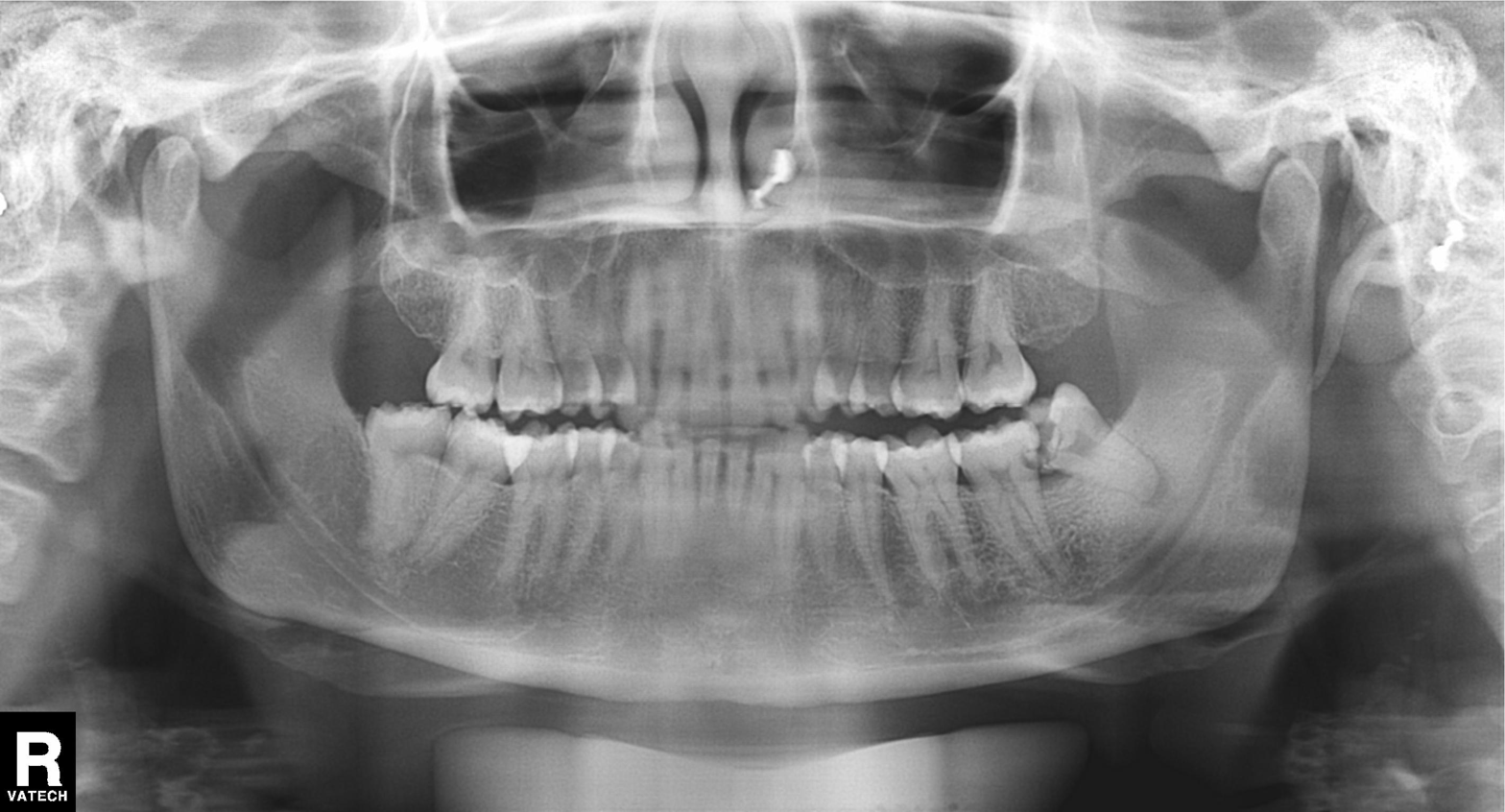
Summary: Panoramic dental radiograph (orthopantomogram).
Assessment: Alveolar bone loss.